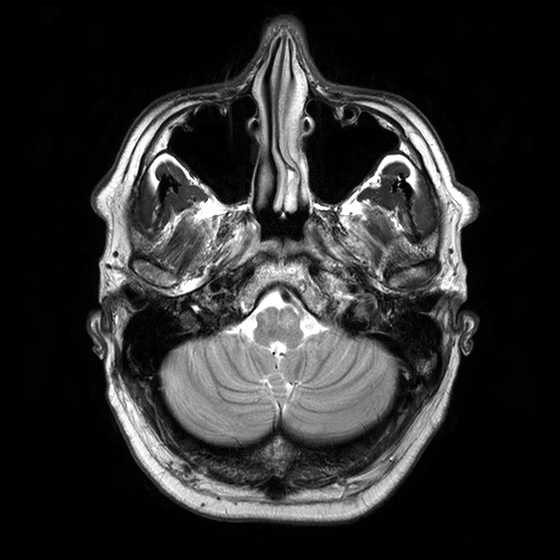
3 Tesla brain MRI. Series: T2-weighted turbo spin echo with CLEAR. Study: ring-enhancing brain masses.